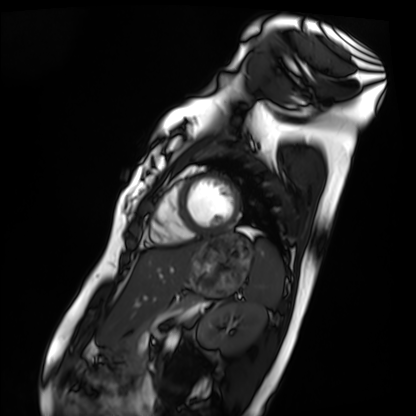
  modality: cardiac MRI
  cohort: healthy volunteer